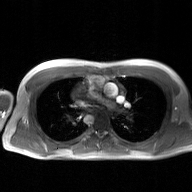
• modality — 2D phase-contrast cine MRI of the ascending aorta, GAN super-resolution reconstruction